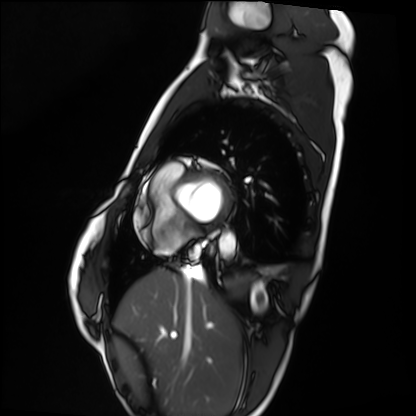
Case summary:
Cardiac MRI. Subject group: healthy volunteer.